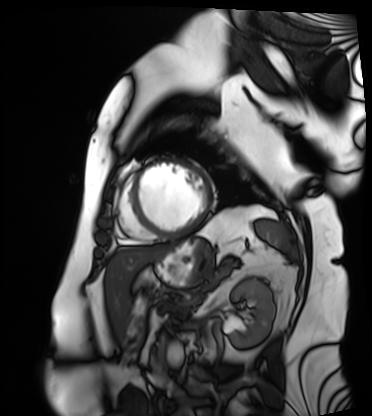
- modality — cardiac MRI
- subject group — patient